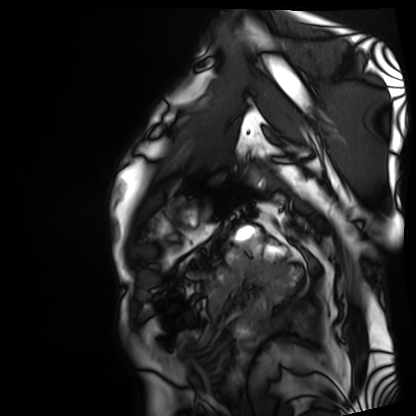
Case summary:
Cardiac MRI. Subject group: patient.